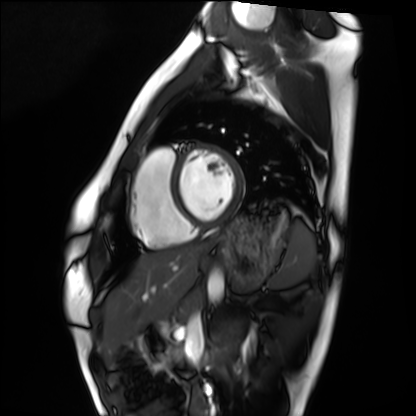
Q: What kind of scan is this?
A: Cardiac MRI.
Subject group: healthy volunteer.